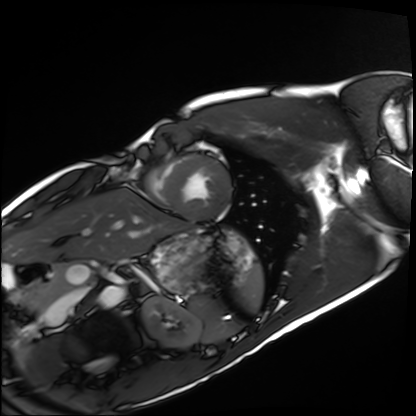
Cardiac MRI. Subject group: healthy volunteer.